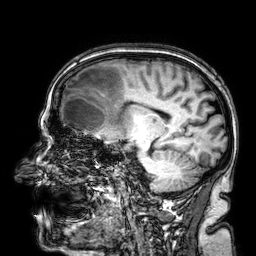
3 Tesla brain MRI.
Series: 3D T1-weighted.
Study: ring-enhancing brain masses.